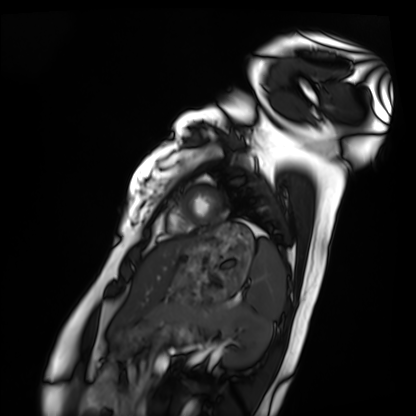
| field | value |
|---|---|
| modality | cardiac MRI |
| subject group | healthy volunteer |